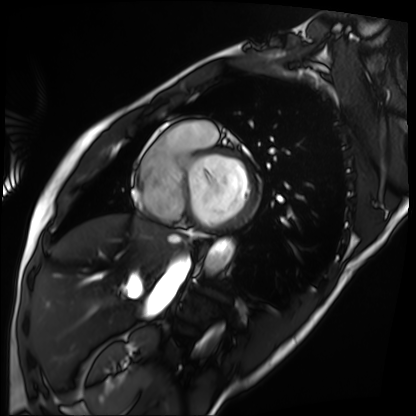
Q: What kind of scan is this?
A: Cardiac MRI.
Subject group: patient.